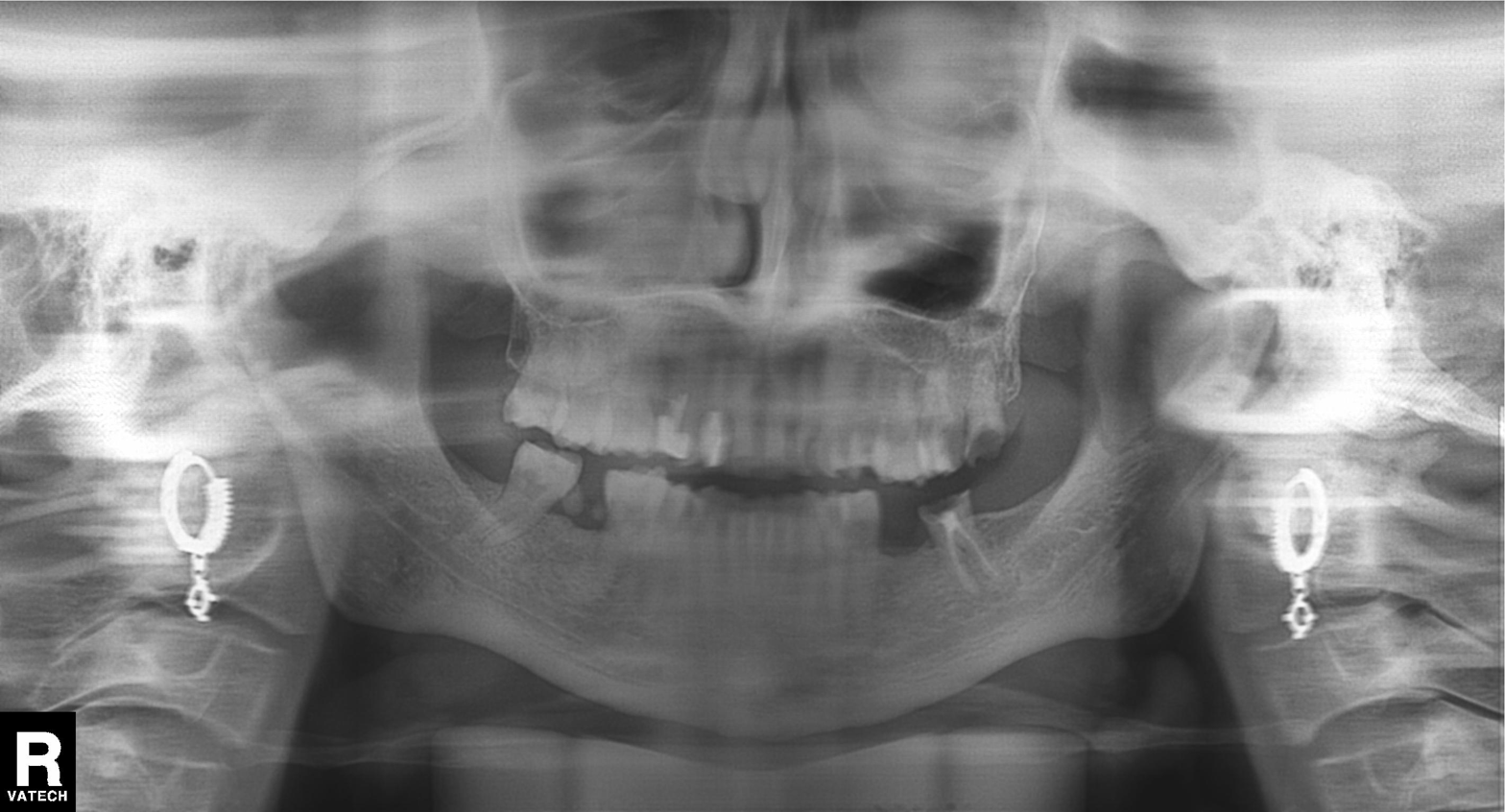
Panoramic dental radiograph (orthopantomogram).
Finding: dental caries (cavities).